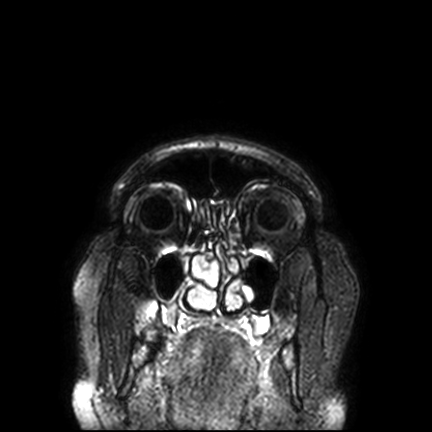
Summary:
3 Tesla brain MRI. Series: FLAIR VISTA with SENSE. Study: ring-enhancing brain masses.